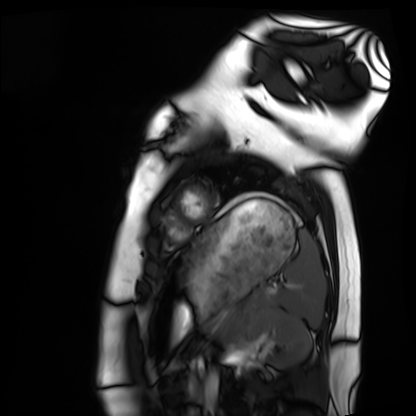
Q: What kind of scan is this?
A: Cardiac MRI.
Subject group: healthy volunteer.